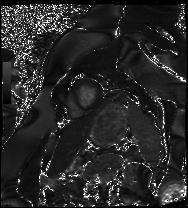
Cardiac MRI.
Subject group: patient.